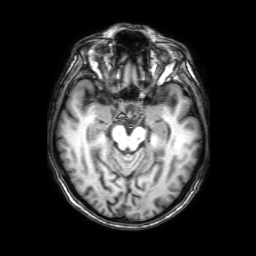
{
  "modality": {
    "type": "brain MRI",
    "field_strength": "3T"
  },
  "series": "3D T1-weighted with SENSE",
  "study_topic": "ring-enhancing brain masses"
}